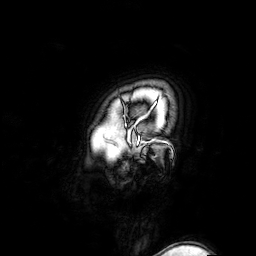
3 Tesla brain MRI.
Series: 3D T1-weighted turbo field echo with SENSE.
Study: ring-enhancing brain masses.